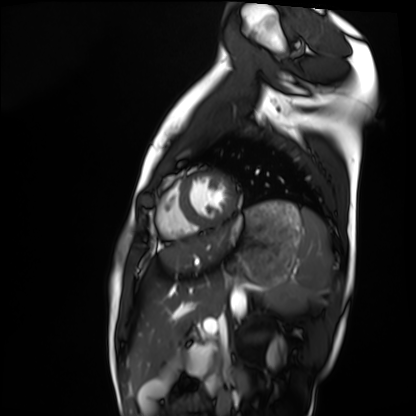
Cardiac MRI.
Subject group: healthy volunteer.